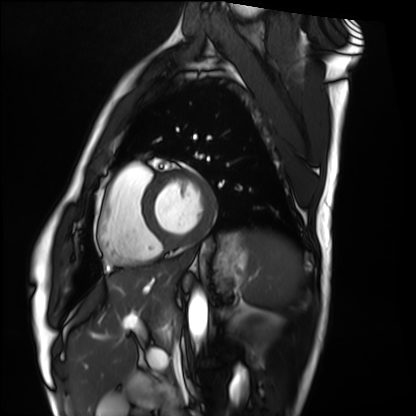
{
  "modality": "cardiac MRI",
  "cohort": "healthy volunteer"
}